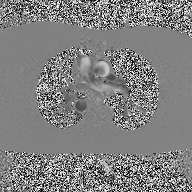
modality=2D phase-contrast cine MRI of the ascending aorta.